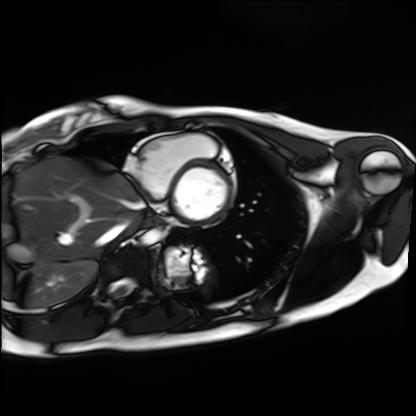
Cardiac MRI. Subject group: healthy volunteer.